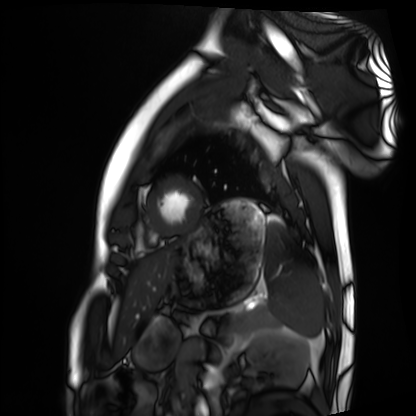
{
  "modality": "cardiac MRI",
  "cohort": "healthy volunteer"
}